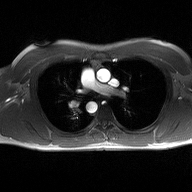
{
  "modality": {
    "type": "2D phase-contrast cine MRI",
    "region": "ascending aorta",
    "reconstruction": "high-resolution GRAPPA acquisition"
  }
}